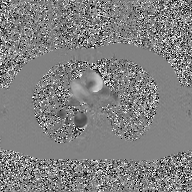
2D phase-contrast cine MRI of the ascending aorta, GAN super-resolution reconstruction.